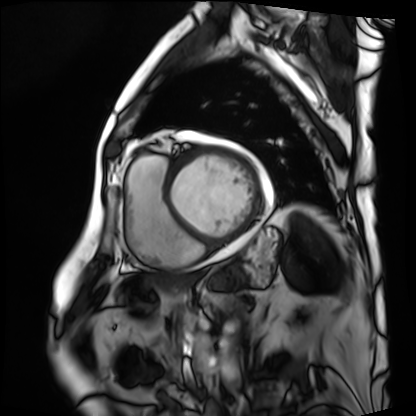
| field | value |
|---|---|
| modality | cardiac MRI |
| subject group | patient |